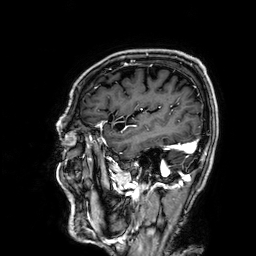
3 Tesla brain MRI. Series: 3D T1-weighted. Study: ring-enhancing brain masses.